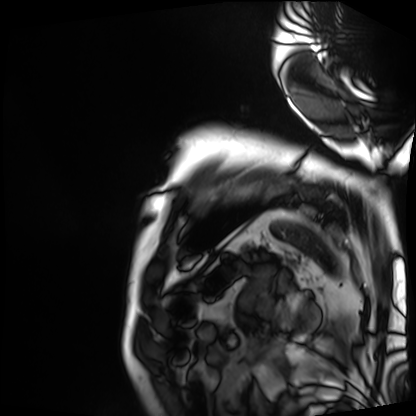
* modality: cardiac MRI
* subject group: patient